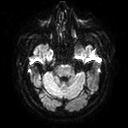
Summary:
3 Tesla brain MRI. Series: diffusion tensor imaging (medium iso). Study: ring-enhancing brain masses.